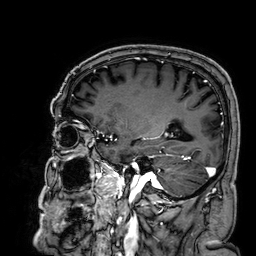
Summary: 3 Tesla brain MRI. Study: ring-enhancing brain masses.